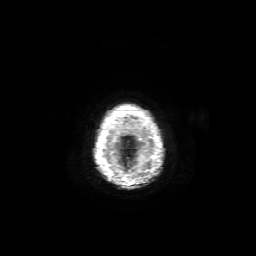
Case:
– modality: 3 Tesla brain MRI
– series: axial T1-weighted fusion image
– study: ring-enhancing brain masses